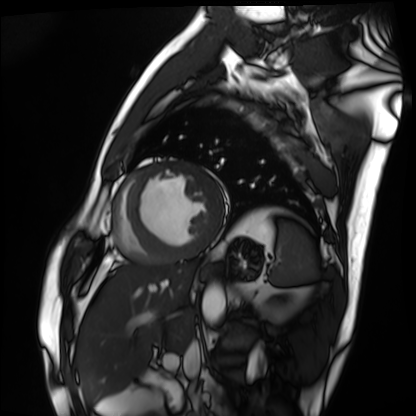
Summary:
Cardiac MRI. Subject group: patient.